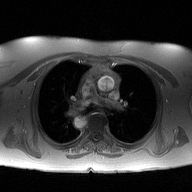
• modality · 2D phase-contrast cine MRI of the ascending aorta